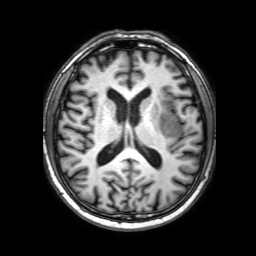
modality:
  type: brain MRI
  field_strength: 3T
study_topic: ring-enhancing brain masses